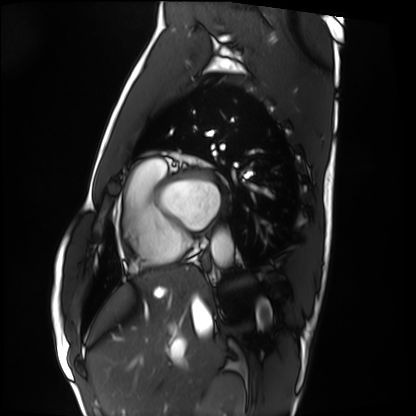
Q: What kind of scan is this?
A: Cardiac MRI.
Subject group: healthy volunteer.